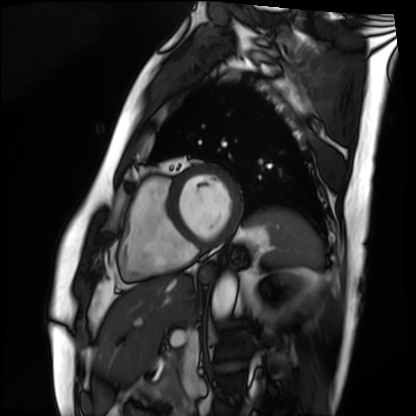
Cardiac MRI. Subject group: patient.